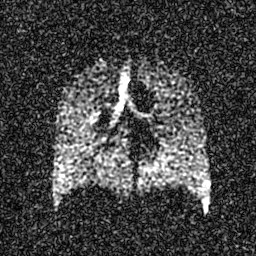
- modality: hyperpolarized 129Xe ventilation MRI of the lungs
- SNR level: 5 of 8 (the deposit holds this scan as its native image and as seven SNR-degraded versions)